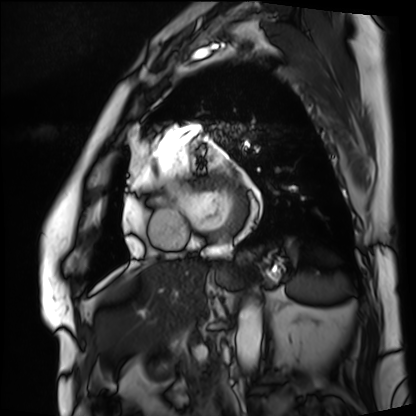
| field | value |
|---|---|
| modality | cardiac MRI |
| subject group | patient |